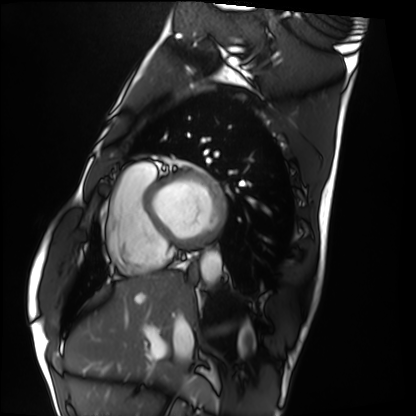
Cardiac MRI. Subject group: healthy volunteer.